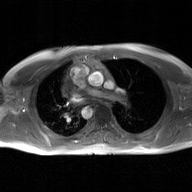
2D phase-contrast cine MRI of the ascending aorta, GAN super-resolution reconstruction.